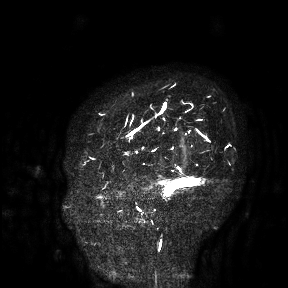
Case summary: 3 Tesla brain MRI. Study: ring-enhancing brain masses.